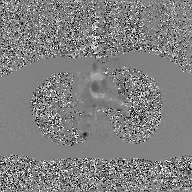
Q: What kind of scan is this?
A: 2D phase-contrast cine MRI of the ascending aorta, GAN super-resolution reconstruction.